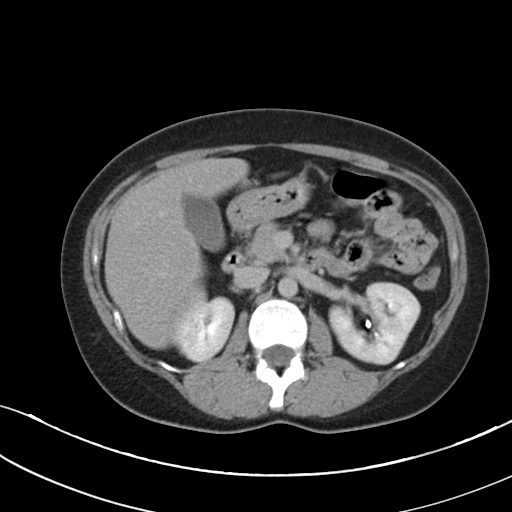
Case summary: Multiphase abdominal CT, liver, delayed phase. Patient: female, age 36.